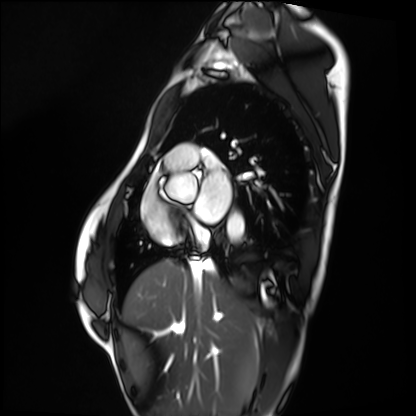
modality: cardiac MRI; subject group: healthy volunteer.